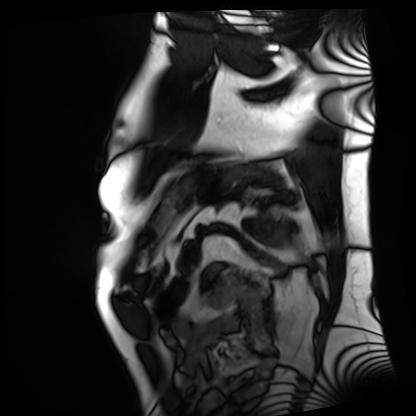
| field | value |
|---|---|
| modality | cardiac MRI |
| subject group | patient |